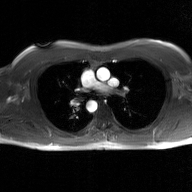
2D phase-contrast cine MRI of the ascending aorta, GAN super-resolution reconstruction.